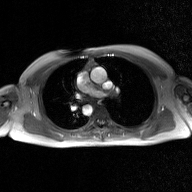
modality = 2D phase-contrast cine MRI of the ascending aorta, GAN super-resolution reconstruction